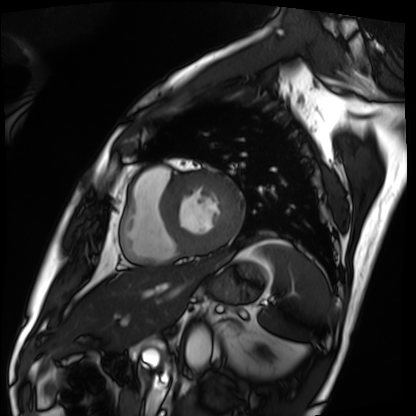
modality: cardiac MRI
cohort: patient